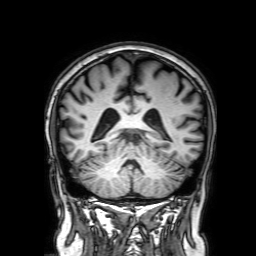
3 Tesla brain MRI. Series: 3D T1-weighted with SENSE. Study: ring-enhancing brain masses.